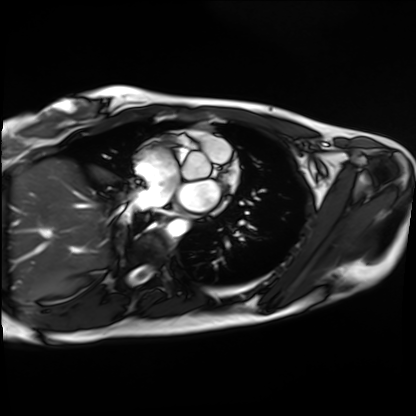
{
  "modality": "cardiac MRI",
  "cohort": "healthy volunteer"
}